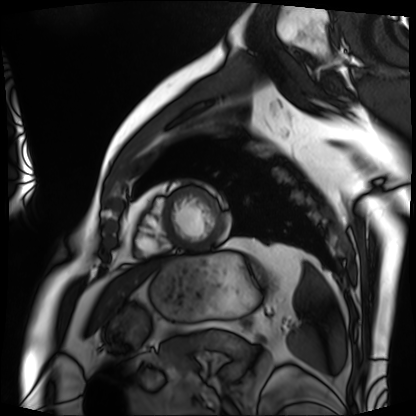
modality=cardiac MRI
subject group=patient